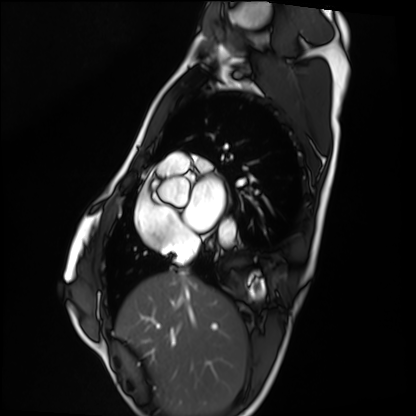
modality: cardiac MRI | subject group: healthy volunteer.